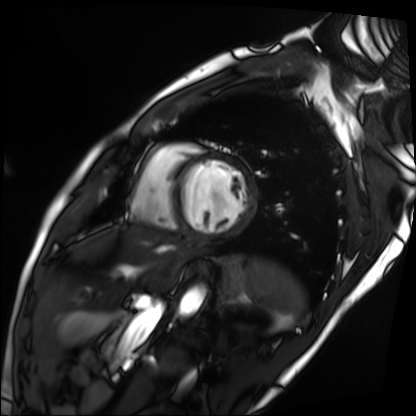
* modality — cardiac MRI
* subject group — patient